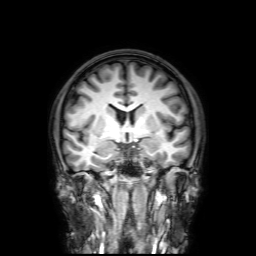
Q: What kind of scan is this?
A: 3 Tesla brain MRI.
Q: Series?
A: 3D T1-weighted with SENSE.
Study: ring-enhancing brain masses.